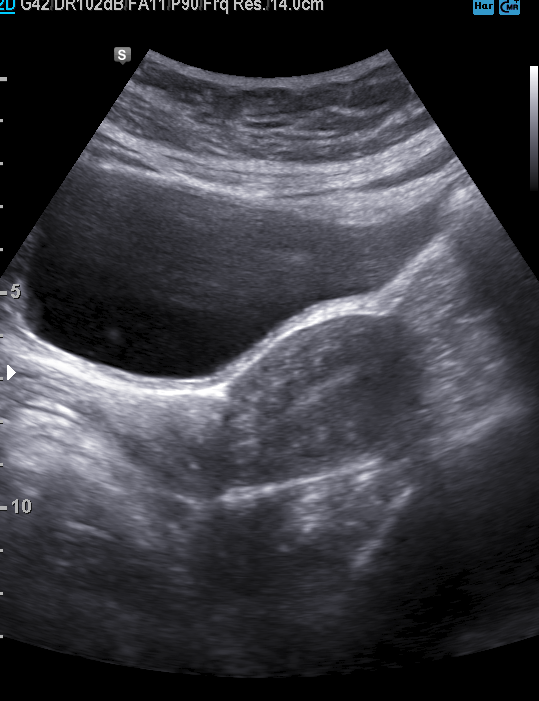
| field | value |
|---|---|
| modality | genitourinary ultrasound |